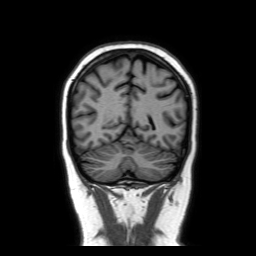
modality=3 Tesla brain MRI | study=ring-enhancing brain masses.